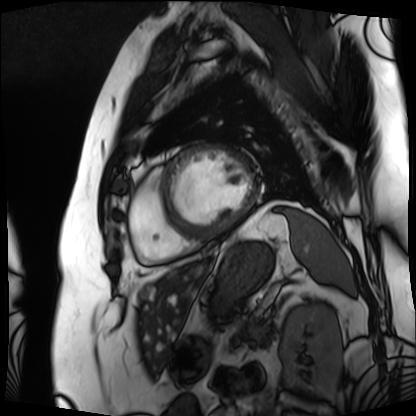
Summary:
Cardiac MRI. Subject group: patient.